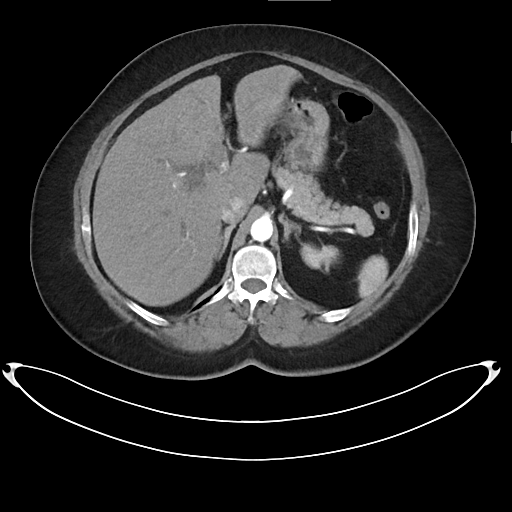
<scan>
<modality>
  <type>multiphase abdominal CT</type>
  <region>liver</region>
  <phase>arterial</phase>
</modality>
<patient>
  <sex>female</sex>
  <age>59</age>
</patient>
</scan>